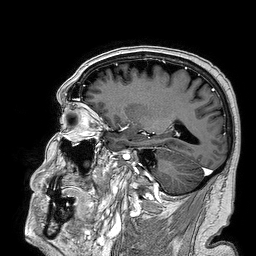
Q: What kind of scan is this?
A: 3 Tesla brain MRI.
Q: Series?
A: 3D T1-weighted turbo field echo.
Study: ring-enhancing brain masses.